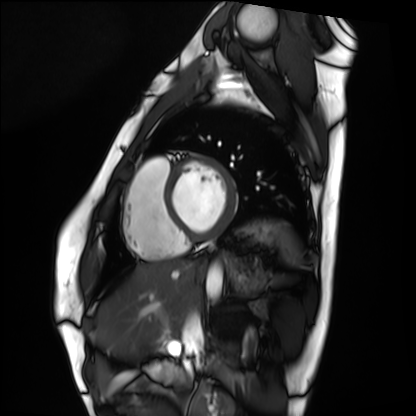
<scan>
  <modality>cardiac MRI</modality>
  <cohort>healthy volunteer</cohort>
</scan>